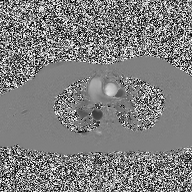
2D phase-contrast cine MRI of the ascending aorta, high-resolution GRAPPA acquisition.